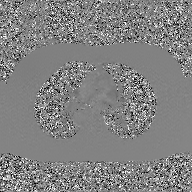
modality = 2D phase-contrast cine MRI of the ascending aorta, GAN super-resolution reconstruction